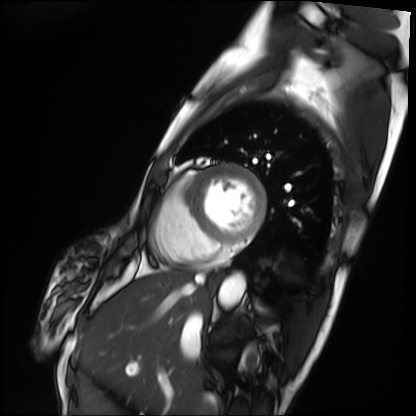
Case summary:
Cardiac MRI. Subject group: patient.